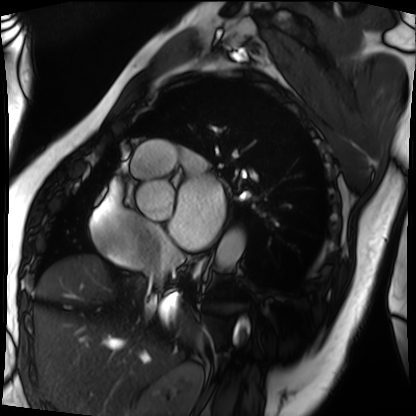
modality=cardiac MRI; subject group=patient.